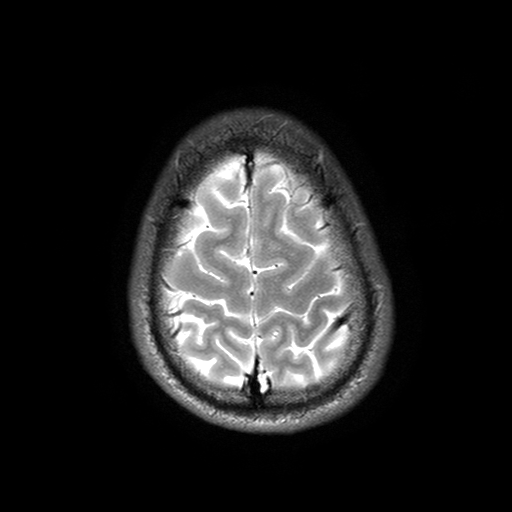
Summary: 3 Tesla brain MRI. Series: T2-weighted turbo spin echo with SENSE. Study: ring-enhancing brain masses.